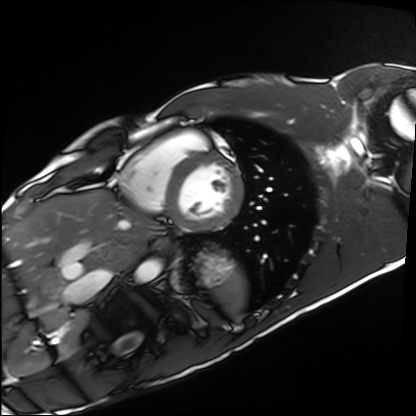
Cardiac MRI. Subject group: healthy volunteer.